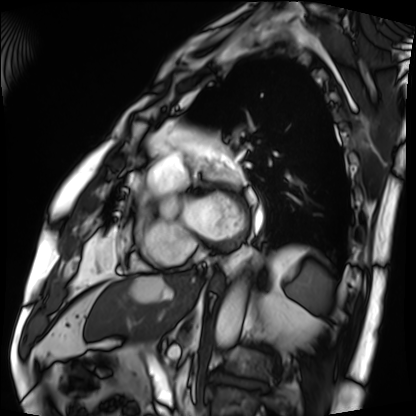
Case:
• modality · cardiac MRI
• subject group · patient